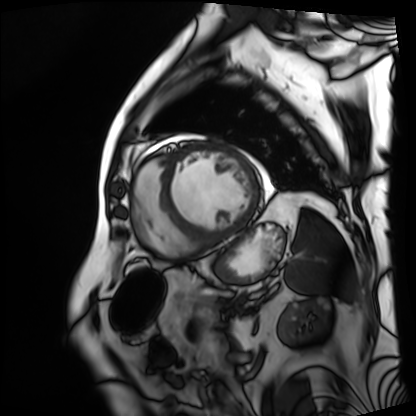
{
  "modality": "cardiac MRI",
  "cohort": "patient"
}